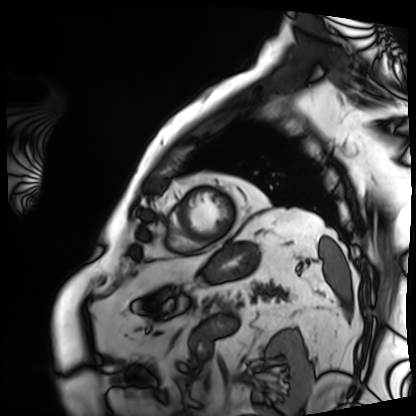
Q: What kind of scan is this?
A: Cardiac MRI.
Subject group: patient.